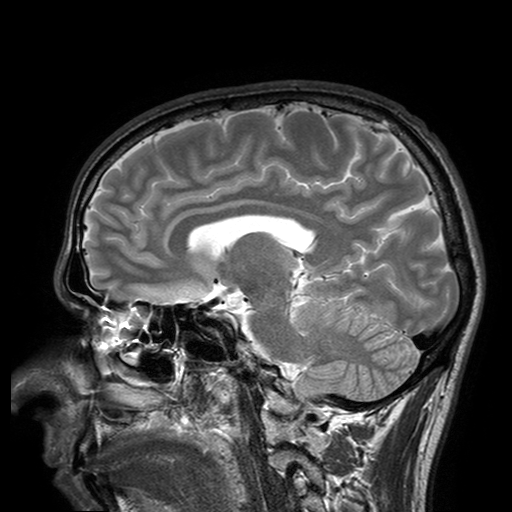
modality: 3 Tesla brain MRI; series: T2-weighted turbo spin echo with SENSE; study: ring-enhancing brain masses.